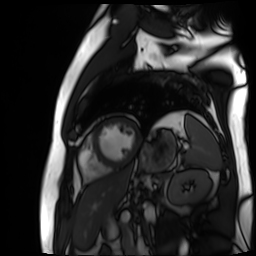
- modality — cardiac MR image of the myocardium
- subject cohort — cardiac patient